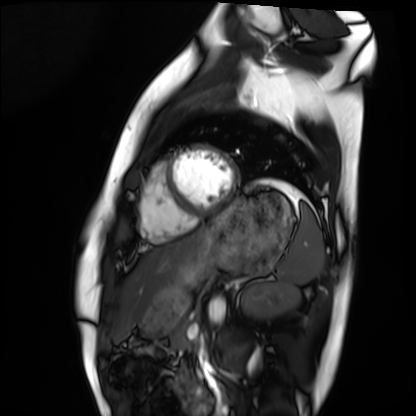
Cardiac MRI.
Subject group: healthy volunteer.